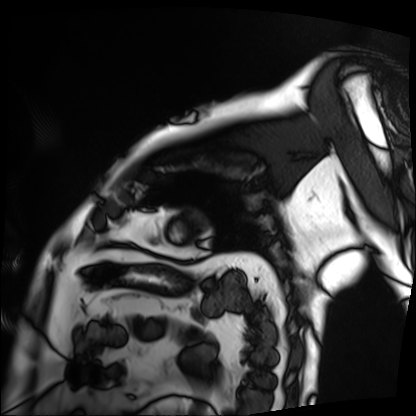
Cardiac MRI.
Subject group: patient.